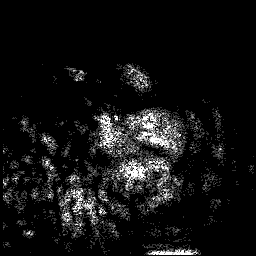
Case summary: 3 Tesla brain MRI. Series: 3D T1-weighted. Study: ring-enhancing brain masses.